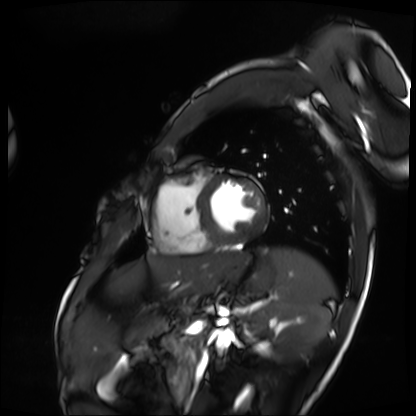
| field | value |
|---|---|
| modality | cardiac MRI |
| subject group | patient |